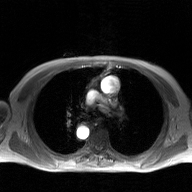
| field | value |
|---|---|
| modality | 2D phase-contrast cine MRI of the ascending aorta, GAN super-resolution reconstruction |